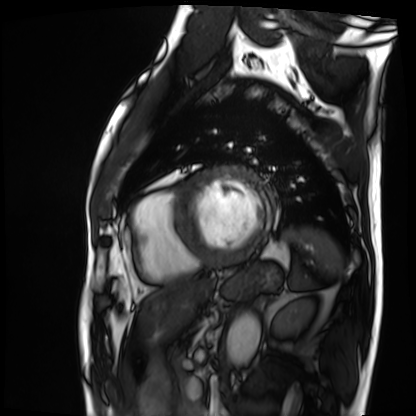
modality: cardiac MRI; subject group: patient.